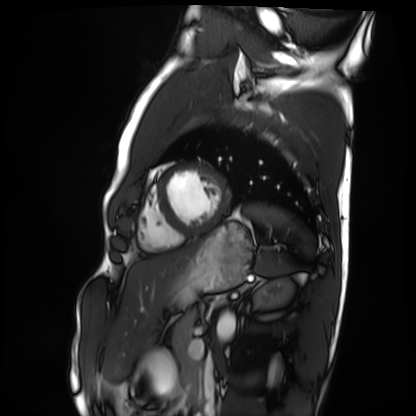
Cardiac MRI. Subject group: healthy volunteer.